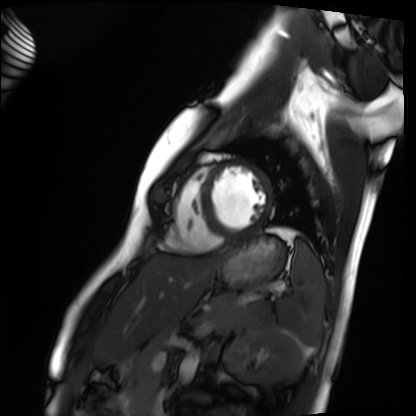
Case summary: Cardiac MRI. Subject group: healthy volunteer.